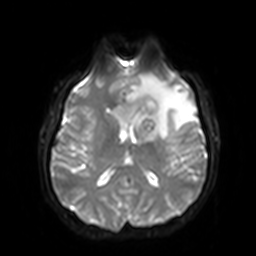
Q: What kind of scan is this?
A: 3 Tesla brain MRI.
Q: Series?
A: Diffusion-weighted imaging with SENSE (WIP).
Study: ring-enhancing brain masses.